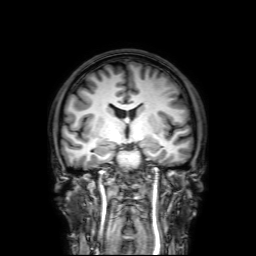
* modality — 3 Tesla brain MRI
* series — 3D T1-weighted with SENSE
* study — ring-enhancing brain masses